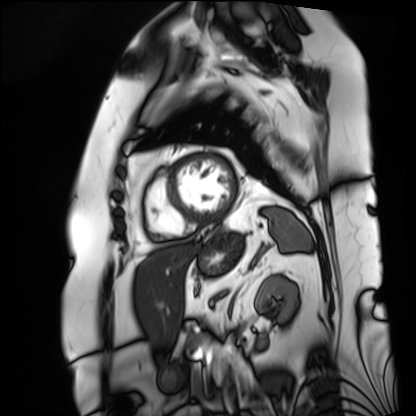
Cardiac MRI.
Subject group: patient.